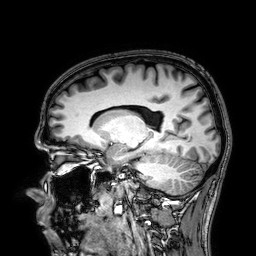
modality: 3 Tesla brain MRI | series: 3D T1-weighted | study: ring-enhancing brain masses.